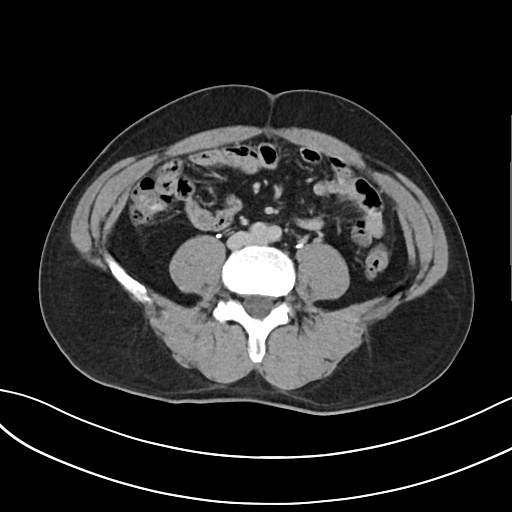
modality: multiphase abdominal CT, liver, delayed phase | patient: male, age 47 | history: cirrhosis, viral hepatitis.